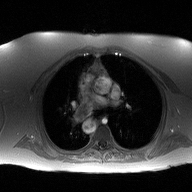
Case:
• modality: 2D phase-contrast cine MRI of the ascending aorta